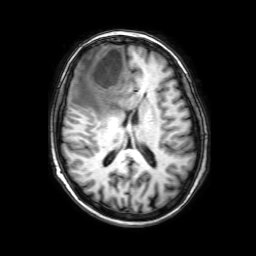
3 Tesla brain MRI.
Series: 3D T1-weighted with SENSE.
Study: ring-enhancing brain masses.